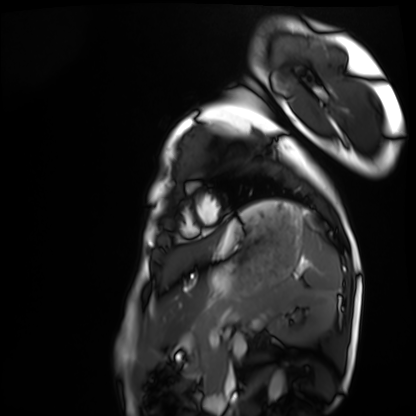
modality: cardiac MRI, subject group: healthy volunteer.